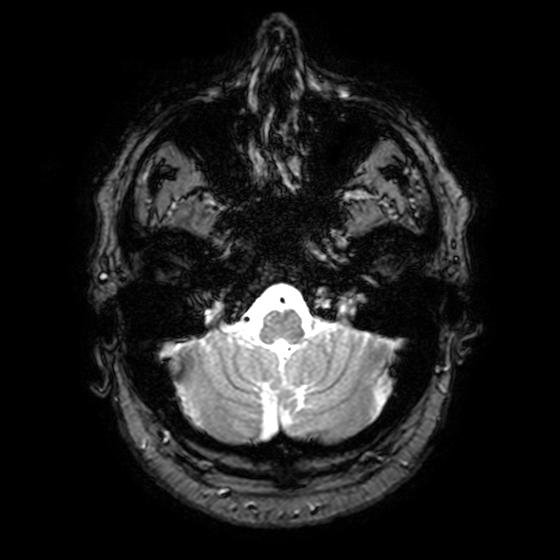
- modality — 3 Tesla brain MRI
- study — ring-enhancing brain masses